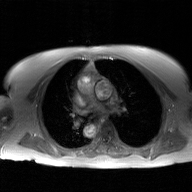
• modality · 2D phase-contrast cine MRI of the ascending aorta, GAN super-resolution reconstruction